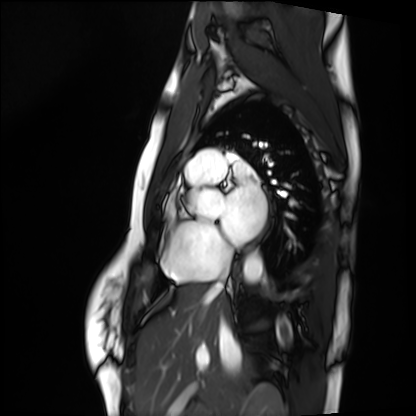
Cardiac MRI. Subject group: healthy volunteer.